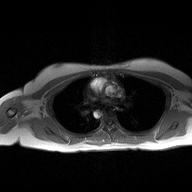
{
  "modality": {
    "type": "2D phase-contrast cine MRI",
    "region": "ascending aorta",
    "reconstruction": "high-resolution GRAPPA acquisition"
  }
}